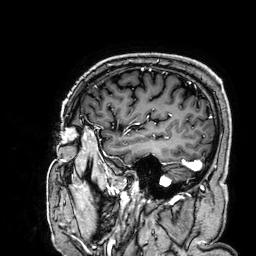
  modality:
    type: brain MRI
    field_strength: 3T
  series: 3D T1-weighted
  study_topic: ring-enhancing brain masses